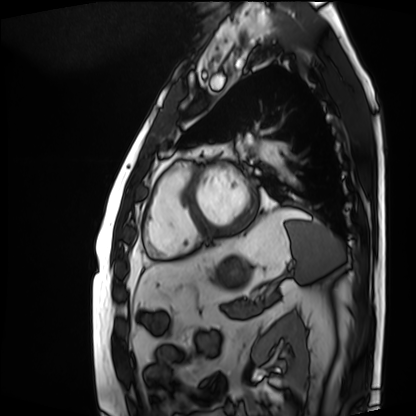
Summary:
Cardiac MRI. Subject group: patient.